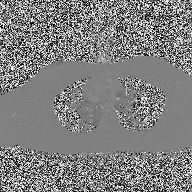
2D phase-contrast cine MRI of the ascending aorta, high-resolution GRAPPA acquisition.